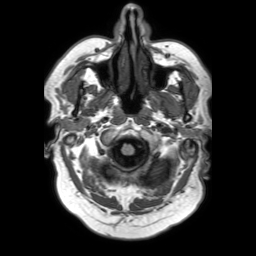
3 Tesla brain MRI. Series: 3D T1-weighted TFE with SENSE. Study: ring-enhancing brain masses.